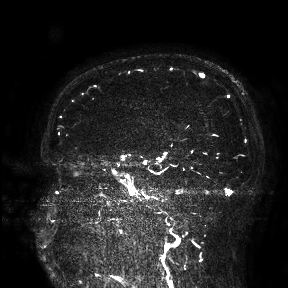
modality: 3 Tesla brain MRI
study: ring-enhancing brain masses